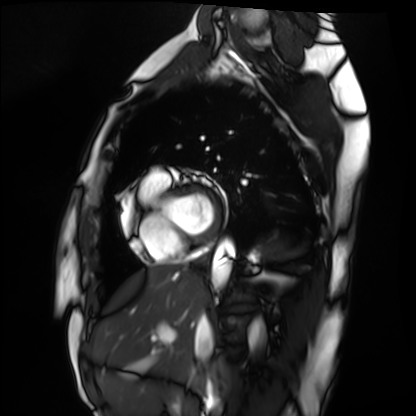
• modality: cardiac MRI
• subject group: healthy volunteer